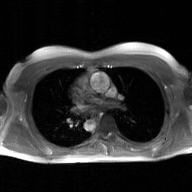
Summary:
2D phase-contrast cine MRI of the ascending aorta, GAN super-resolution reconstruction.